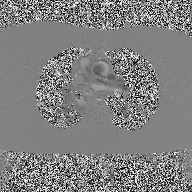
* modality: 2D phase-contrast cine MRI of the ascending aorta